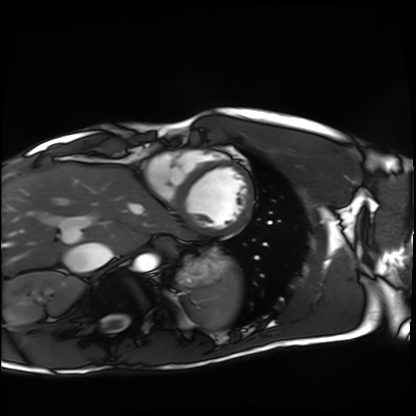
{"modality": "cardiac MRI", "cohort": "healthy volunteer"}